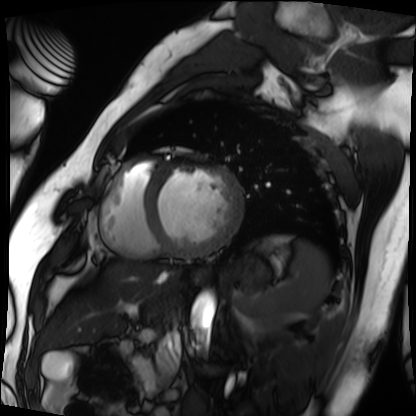
Cardiac MRI. Subject group: patient.